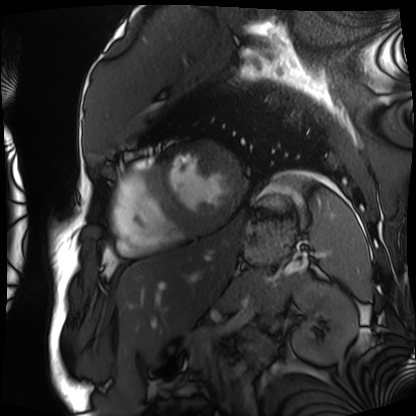
Cardiac MRI. Subject group: patient.